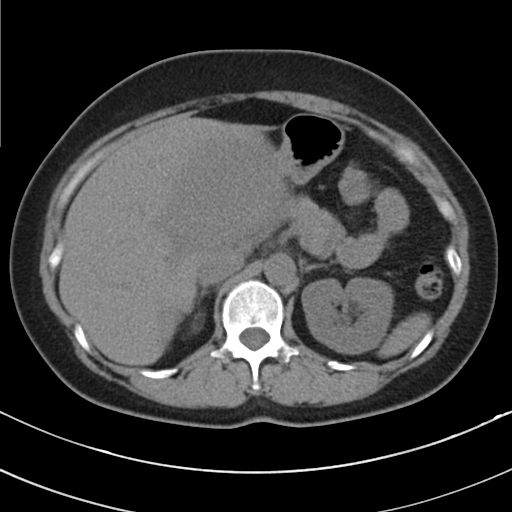
Multiphase abdominal CT, liver, non-contrast phase. Patient: female, age 49.